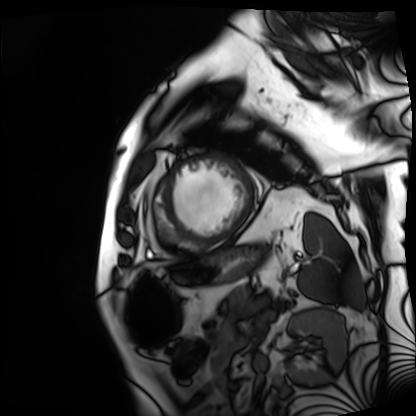
modality = cardiac MRI; subject group = patient.